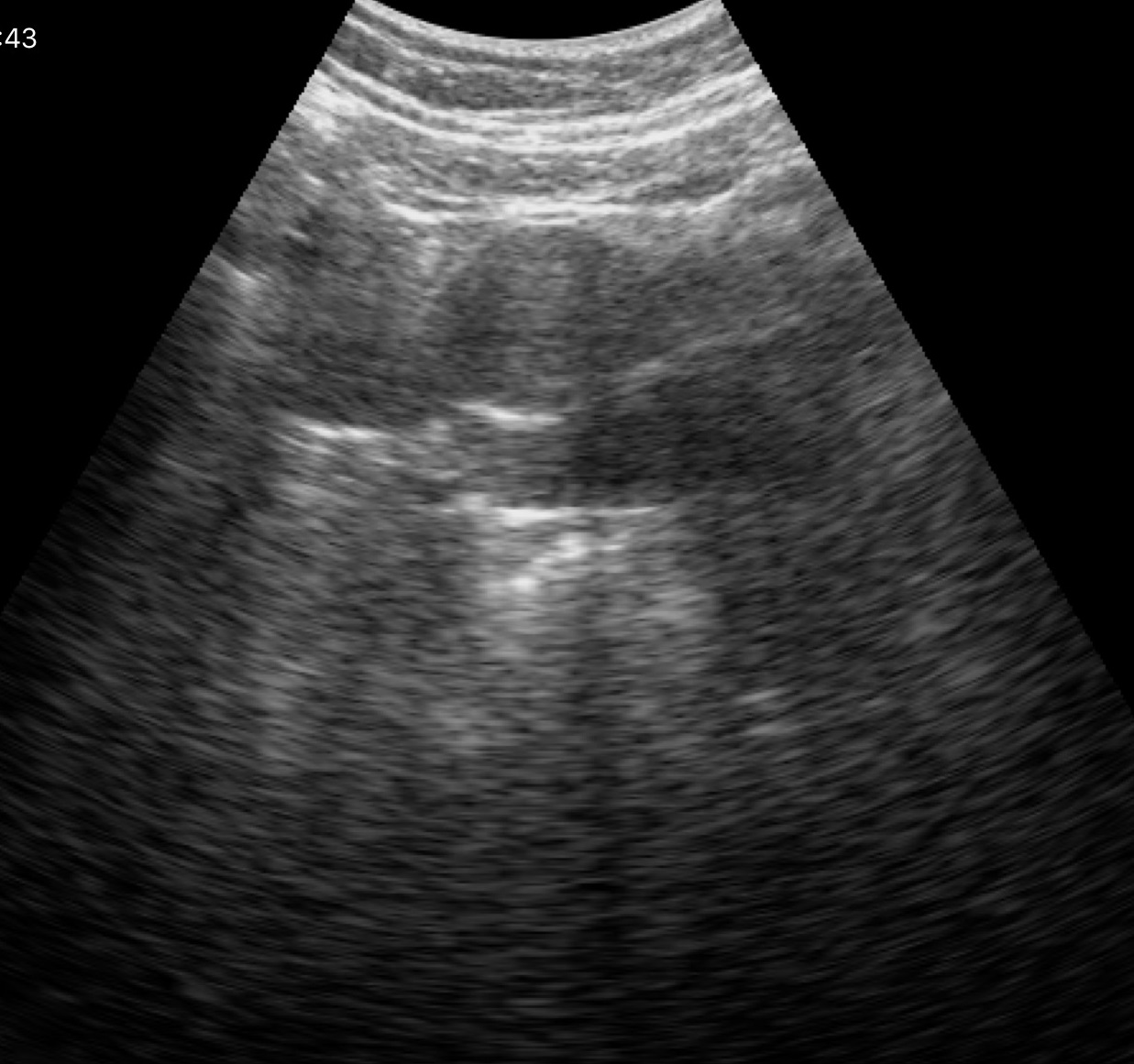
Genitourinary ultrasound.